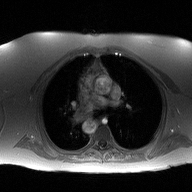
2D phase-contrast cine MRI of the ascending aorta, high-resolution GRAPPA acquisition.